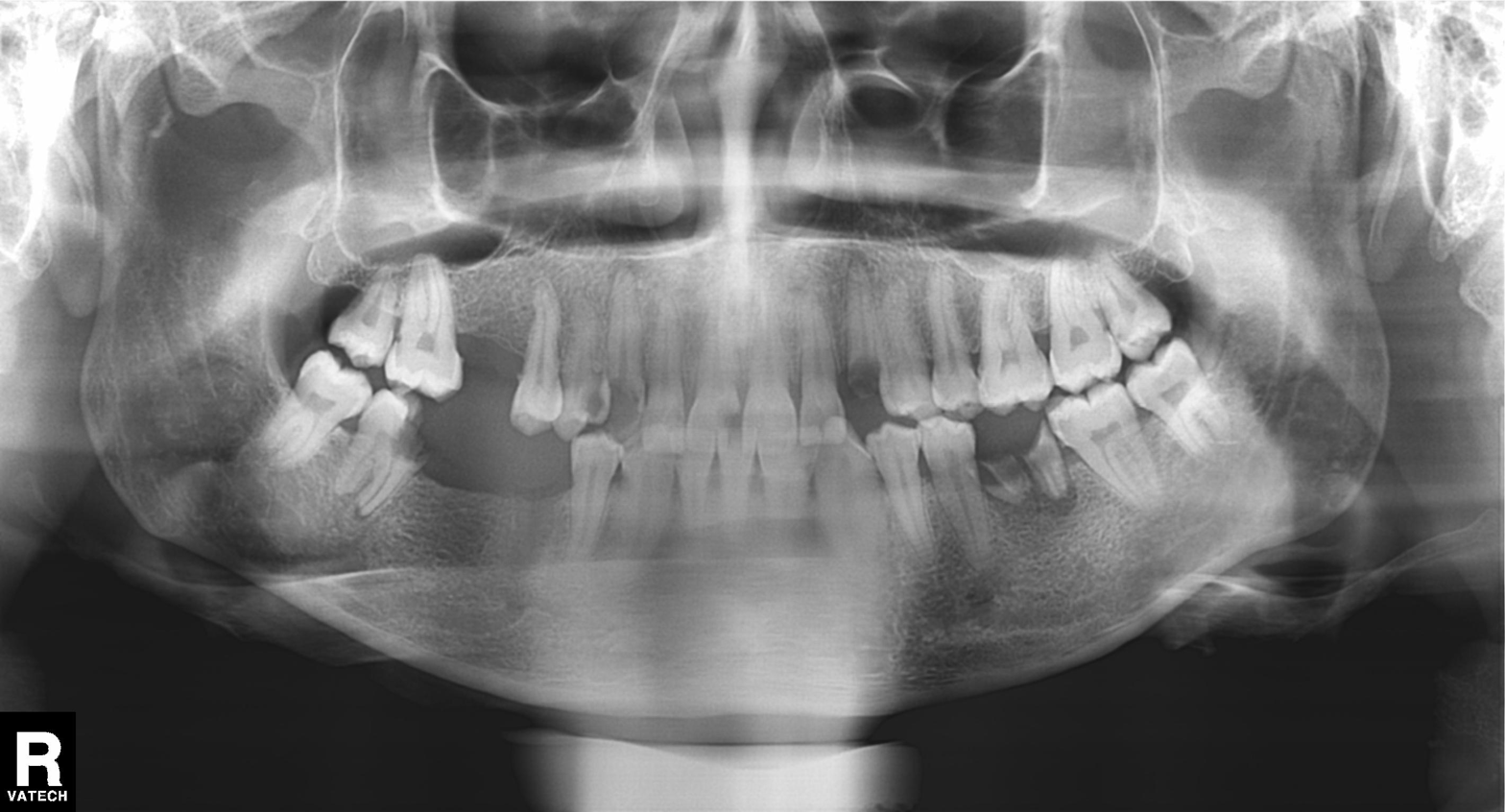
| field | value |
|---|---|
| modality | panoramic dental radiograph (orthopantomogram) |
| finding | tooth impaction |